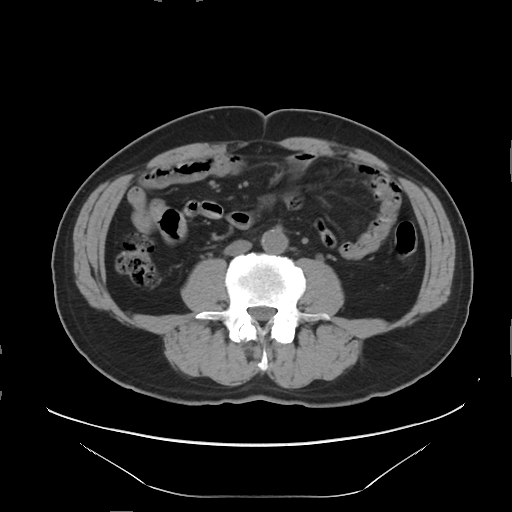
Multiphase abdominal CT, liver, non-contrast phase. Patient: male, age 56. History: prior chemotherapy.